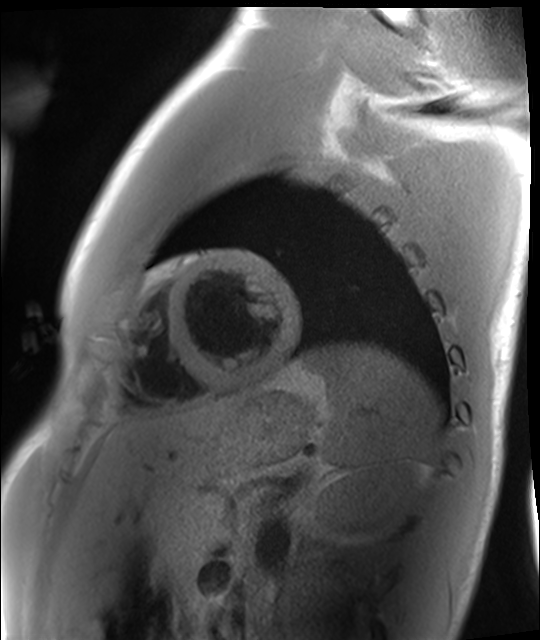
| field | value |
|---|---|
| modality | cardiac MRI |
| subject group | healthy volunteer |